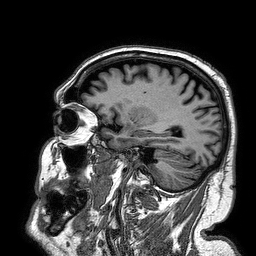
Q: What kind of scan is this?
A: 3 Tesla brain MRI.
Q: Series?
A: 3D T1-weighted turbo field echo.
Study: ring-enhancing brain masses.